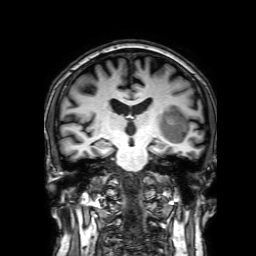
modality:
  type: brain MRI
  field_strength: 3T
series: 3D T1-weighted with SENSE
study_topic: ring-enhancing brain masses